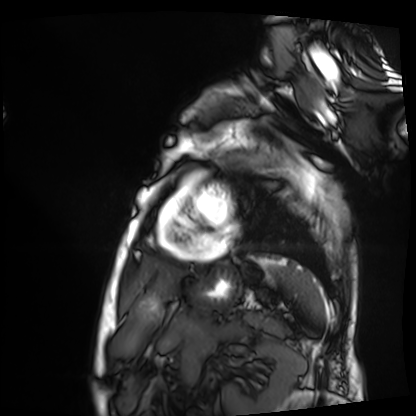
Case summary: Cardiac MRI. Subject group: patient.